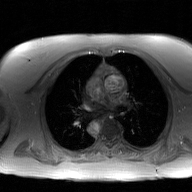
Summary: 2D phase-contrast cine MRI of the ascending aorta, GAN super-resolution reconstruction.